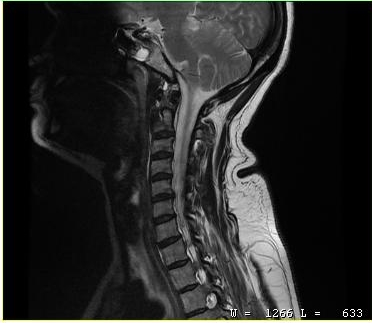
Summary:
MRI of the cervical spine. Study: cervical spondylosis.